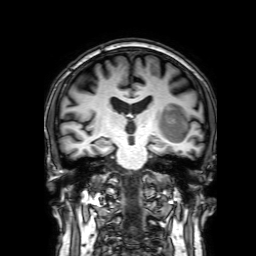
3 Tesla brain MRI.
Series: 3D T1-weighted with SENSE.
Study: ring-enhancing brain masses.